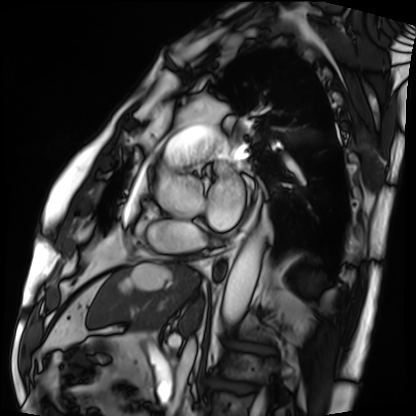
Cardiac MRI.
Subject group: patient.